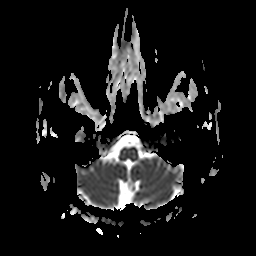
3 Tesla brain MRI.
Series: apparent diffusion coefficient (ADC) map.
Study: ring-enhancing brain masses.